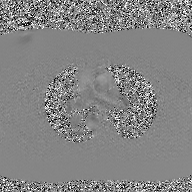
Summary:
2D phase-contrast cine MRI of the ascending aorta, GAN super-resolution reconstruction.